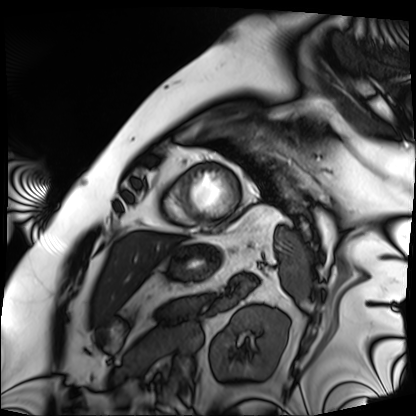
| field | value |
|---|---|
| modality | cardiac MRI |
| subject group | patient |